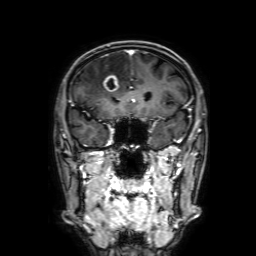
3 Tesla brain MRI.
Series: 3D T1-weighted with SENSE.
Study: ring-enhancing brain masses.